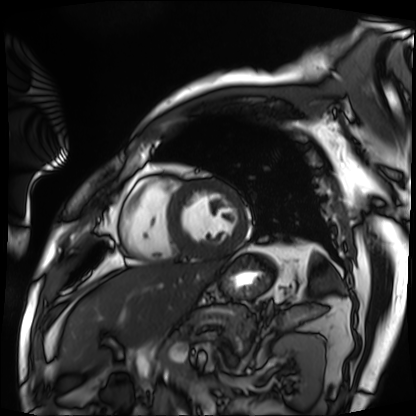
Cardiac MRI.
Subject group: patient.